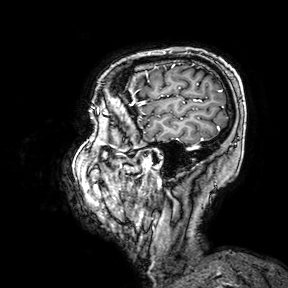
Summary:
3 Tesla brain MRI. Series: 3D T1-weighted turbo field echo with SENSE. Study: ring-enhancing brain masses.